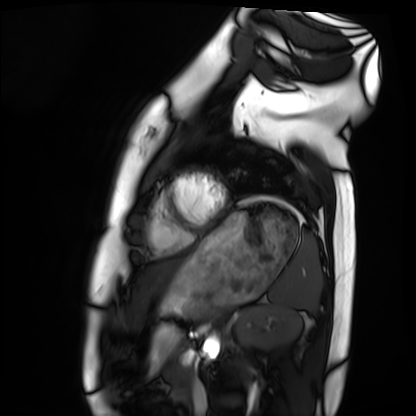
Q: What kind of scan is this?
A: Cardiac MRI.
Subject group: healthy volunteer.